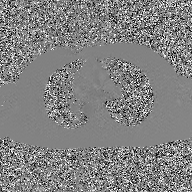
modality: 2D phase-contrast cine MRI of the ascending aorta, GAN super-resolution reconstruction.